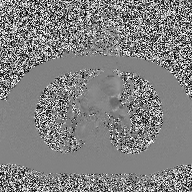
Q: What kind of scan is this?
A: 2D phase-contrast cine MRI of the ascending aorta.